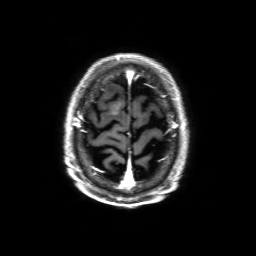
3 Tesla brain MRI. Study: ring-enhancing brain masses.